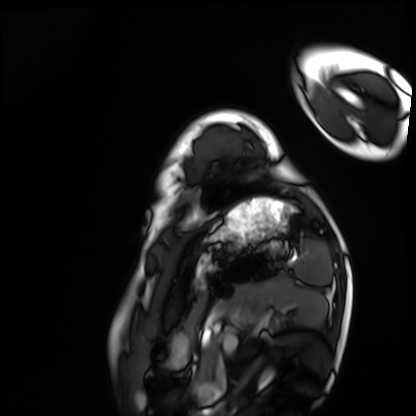
Case:
- modality: cardiac MRI
- subject group: healthy volunteer